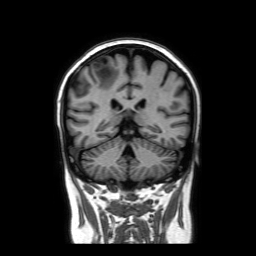
3 Tesla brain MRI. Series: coronal without contrast. Study: ring-enhancing brain masses.